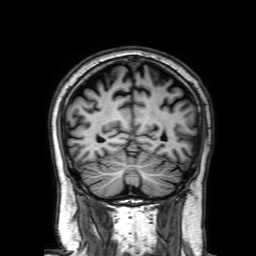
3 Tesla brain MRI. Series: 3D T1-weighted with SENSE. Study: ring-enhancing brain masses.